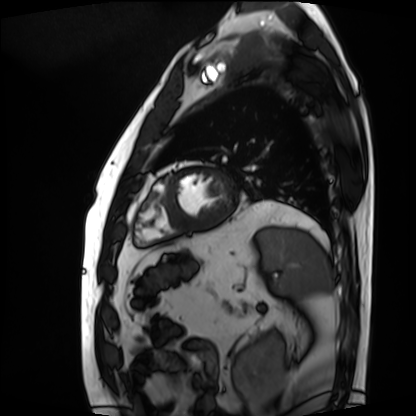
{"modality": "cardiac MRI", "cohort": "patient"}